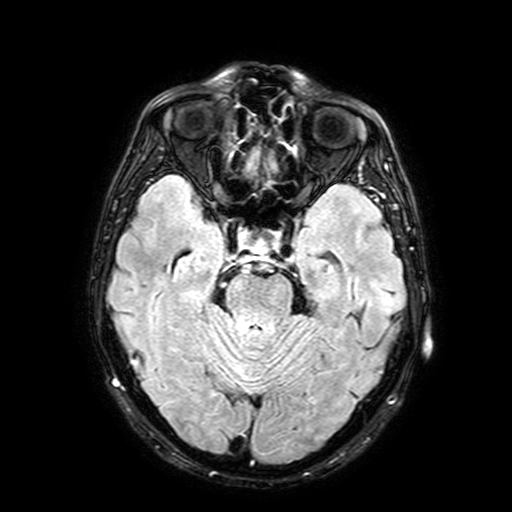
| field | value |
|---|---|
| modality | 3 Tesla brain MRI |
| series | FLAIR with SPAIR, 3 mm |
| study | ring-enhancing brain masses |